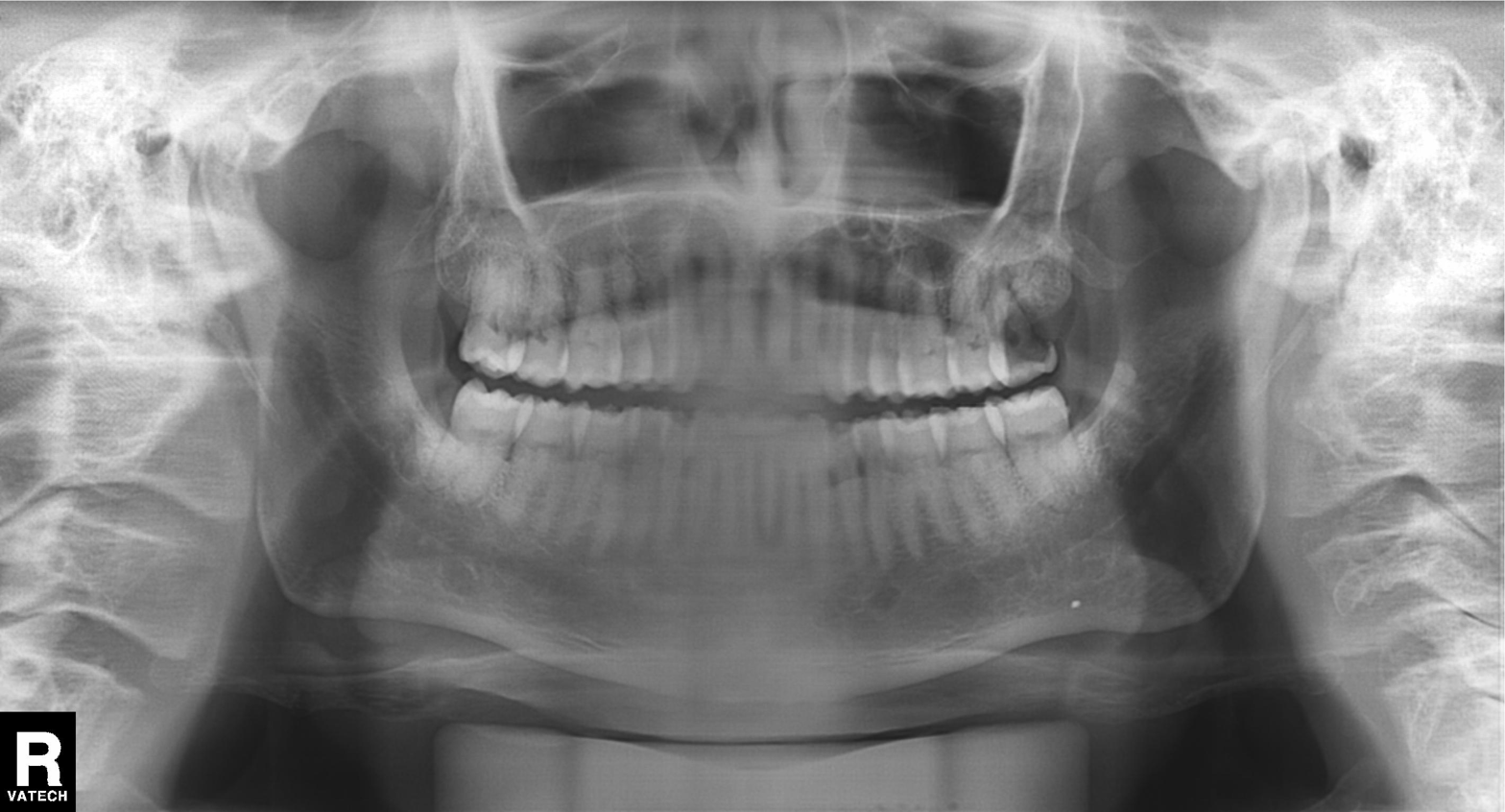
Clinical context:
Panoramic dental radiograph (orthopantomogram).
Diagnosis:
Alveolar bone loss.